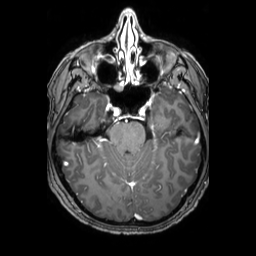
Case:
– modality: 3 Tesla brain MRI
– series: 3D T1-weighted TFE with SENSE
– study: ring-enhancing brain masses